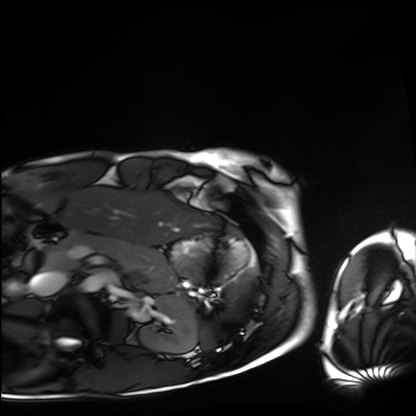
modality = cardiac MRI, subject group = healthy volunteer.